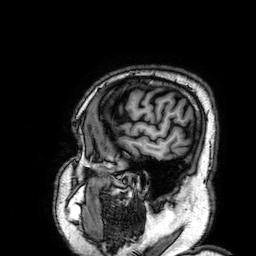
{
  "modality": {
    "type": "brain MRI",
    "field_strength": "3T"
  },
  "series": "3D T1-weighted",
  "study_topic": "ring-enhancing brain masses"
}